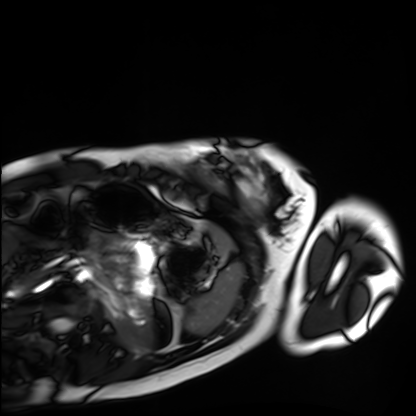
Cardiac MRI.
Subject group: healthy volunteer.